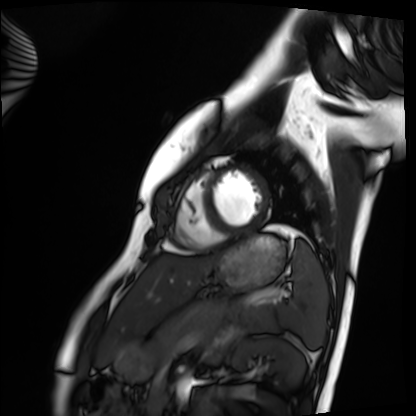
Cardiac MRI. Subject group: healthy volunteer.